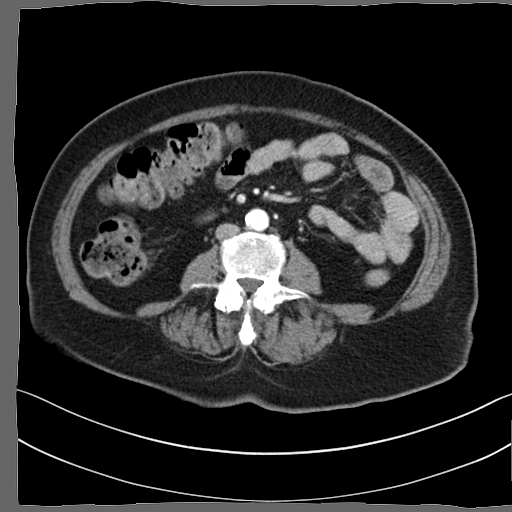
Clinical context:
Multiphase abdominal CT, liver, arterial phase. Patient: female, age 66.